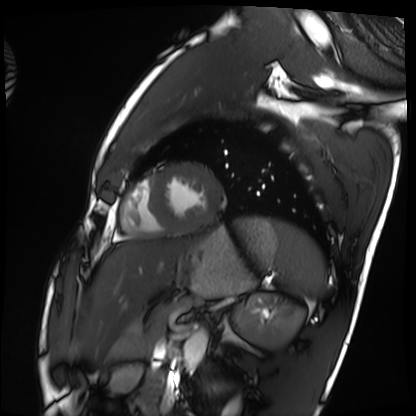
<case>
  <modality>cardiac MRI</modality>
  <cohort>healthy volunteer</cohort>
</case>